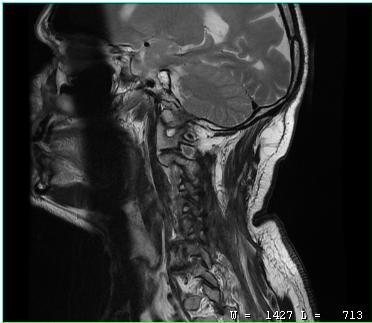
modality = MRI of the cervical spine; study = cervical spondylosis.